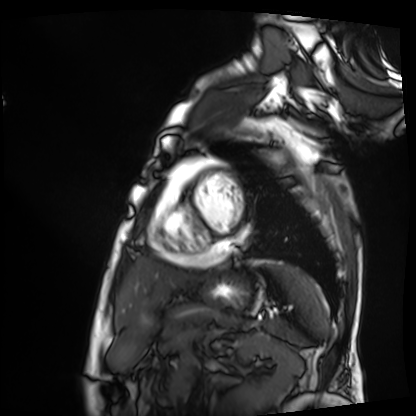
Q: What kind of scan is this?
A: Cardiac MRI.
Subject group: patient.